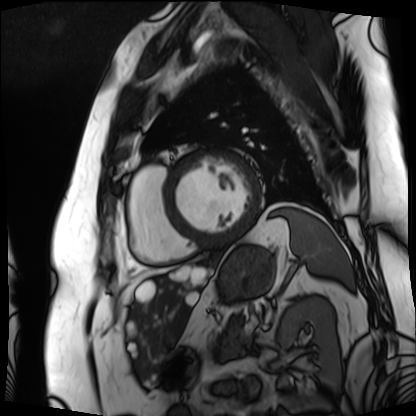
* modality — cardiac MRI
* subject group — patient